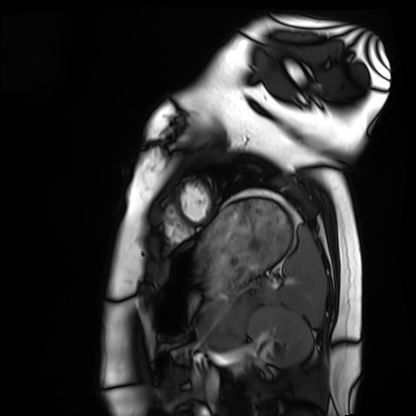
Cardiac MRI. Subject group: healthy volunteer.